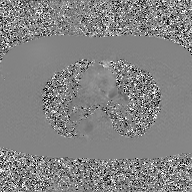
modality: 2D phase-contrast cine MRI of the ascending aorta, GAN super-resolution reconstruction